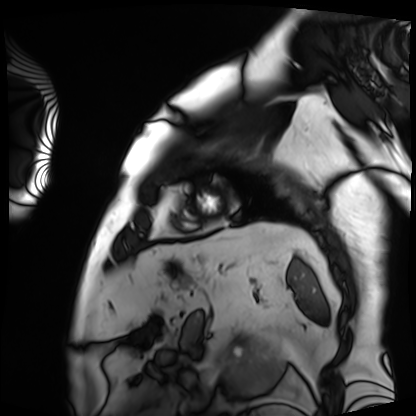
Cardiac MRI.
Subject group: patient.